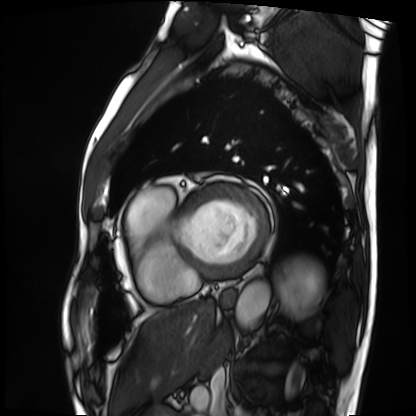
{
  "modality": "cardiac MRI",
  "cohort": "patient"
}